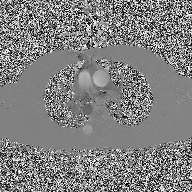
Case summary:
2D phase-contrast cine MRI of the ascending aorta, high-resolution GRAPPA acquisition.